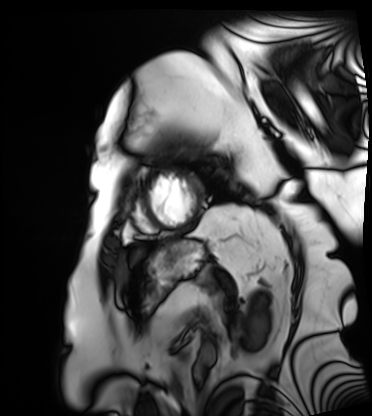
Cardiac MRI.
Subject group: patient.